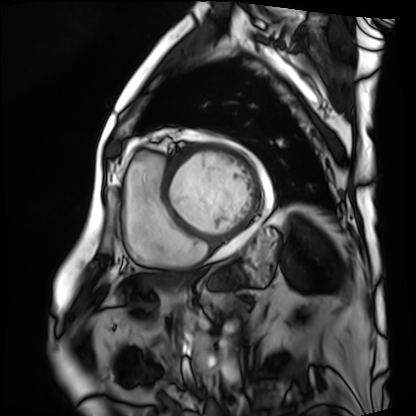
Q: What kind of scan is this?
A: Cardiac MRI.
Subject group: patient.